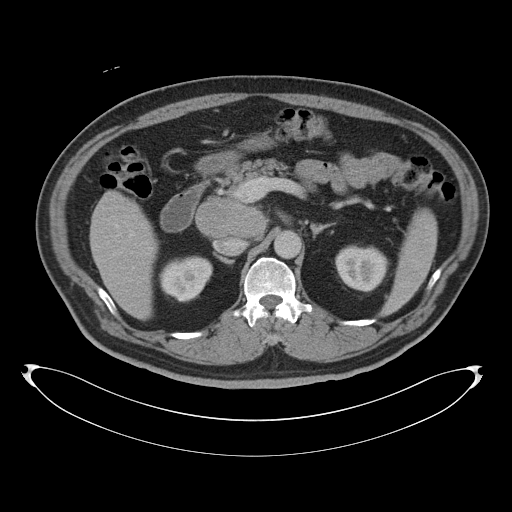
- modality · multiphase abdominal CT, liver, portal venous phase
- patient · male, age 53
- history · cirrhosis